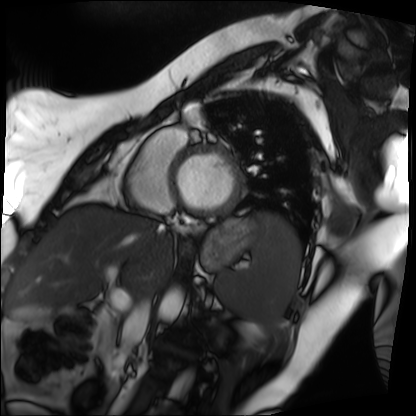
modality: cardiac MRI, subject group: patient.